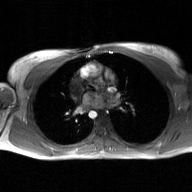
- modality · 2D phase-contrast cine MRI of the ascending aorta, GAN super-resolution reconstruction